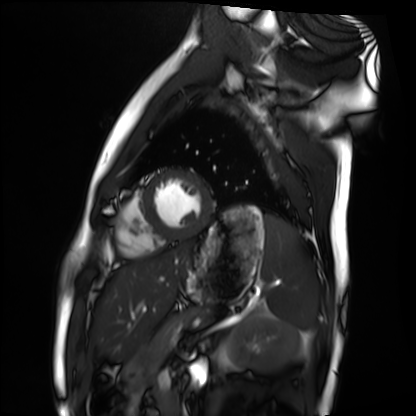
{"modality": "cardiac MRI", "cohort": "healthy volunteer"}